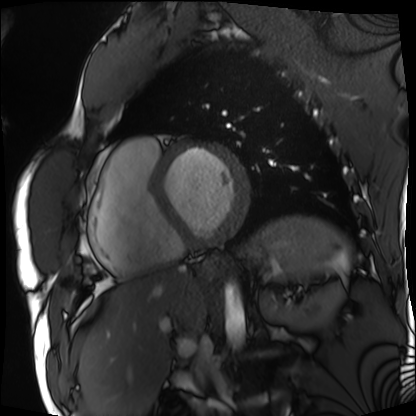
Cardiac MRI. Subject group: patient.